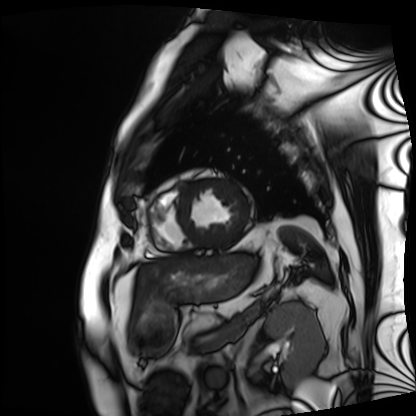
Summary: Cardiac MRI. Subject group: patient.